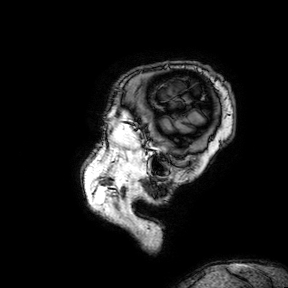
Case summary: 3 Tesla brain MRI. Series: 3D T1-weighted turbo field echo with SENSE. Study: ring-enhancing brain masses.